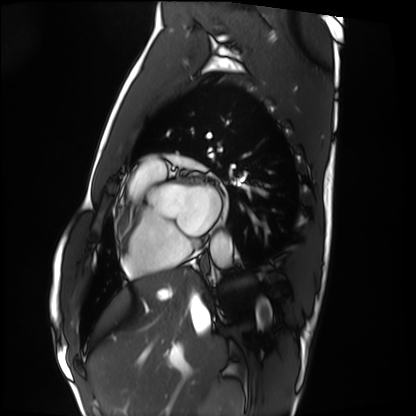
Cardiac MRI.
Subject group: healthy volunteer.